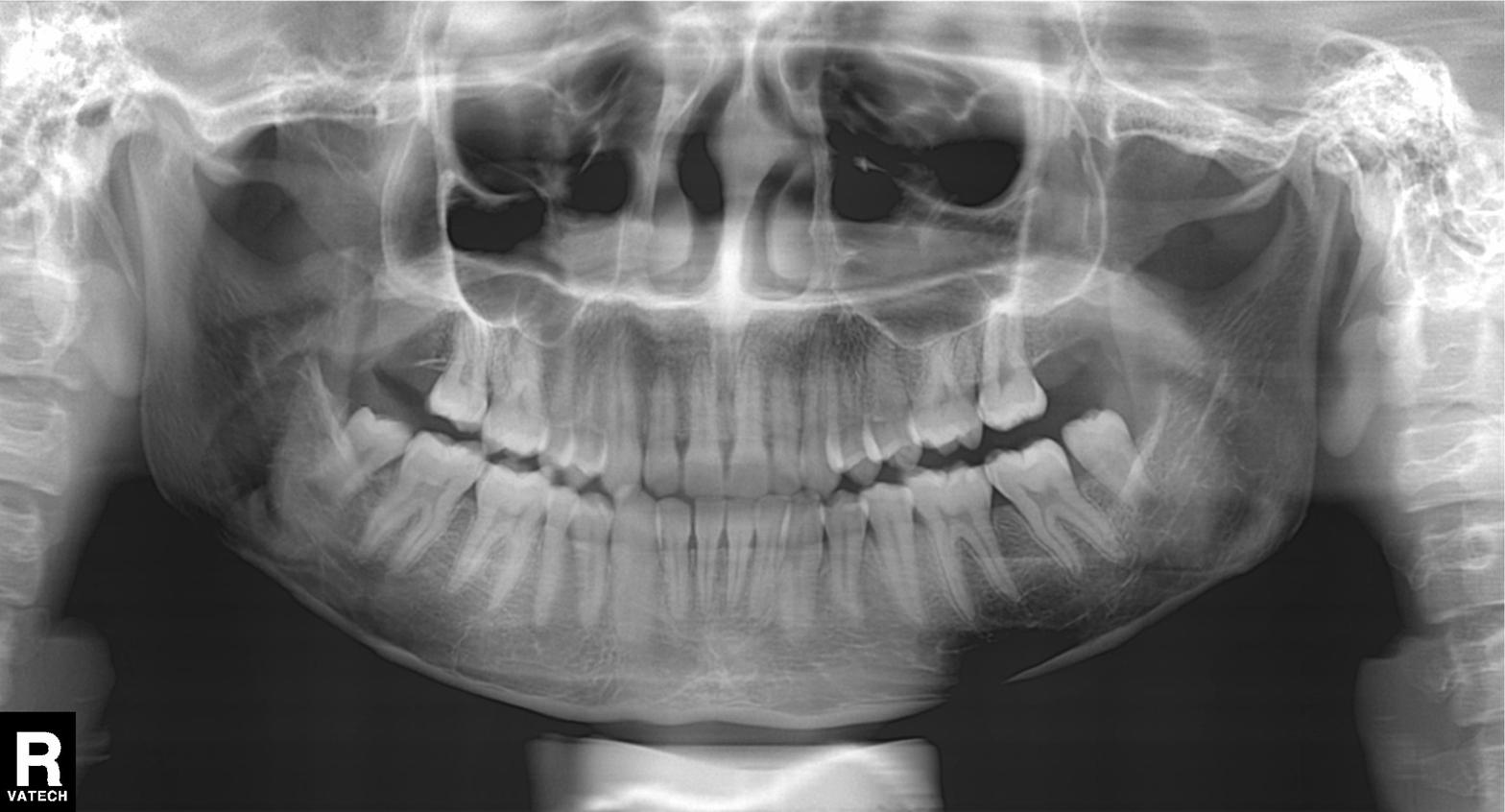
modality — panoramic dental radiograph (orthopantomogram) | finding — no pathological findings.